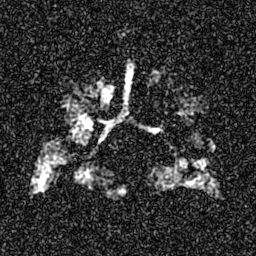
Hyperpolarized 129Xe ventilation MRI of the lungs. SNR level 7 of 8 (the deposit holds this scan as its native image and as seven SNR-degraded versions).